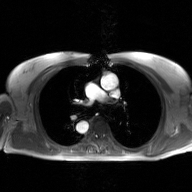
2D phase-contrast cine MRI of the ascending aorta, GAN super-resolution reconstruction.